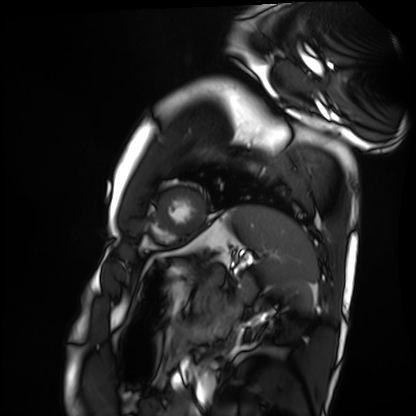
Cardiac MRI. Subject group: healthy volunteer.